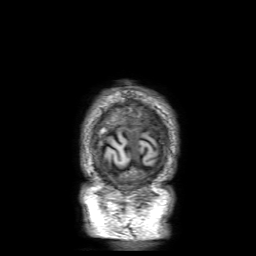
Summary:
3 Tesla brain MRI. Series: 3D T1-weighted with SENSE. Study: ring-enhancing brain masses.